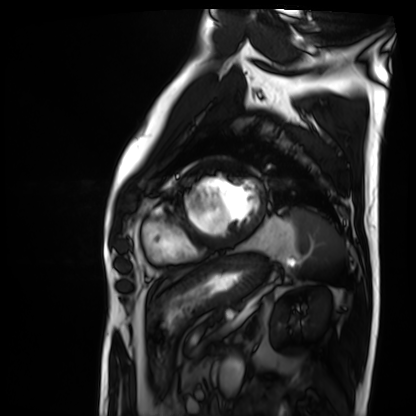
* modality — cardiac MRI
* subject group — patient